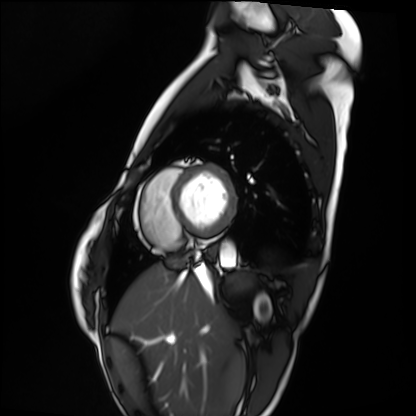
Cardiac MRI. Subject group: healthy volunteer.